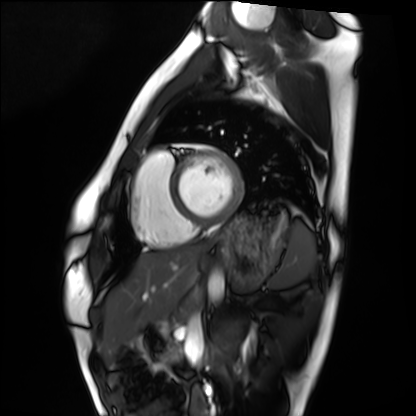
Cardiac MRI. Subject group: healthy volunteer.